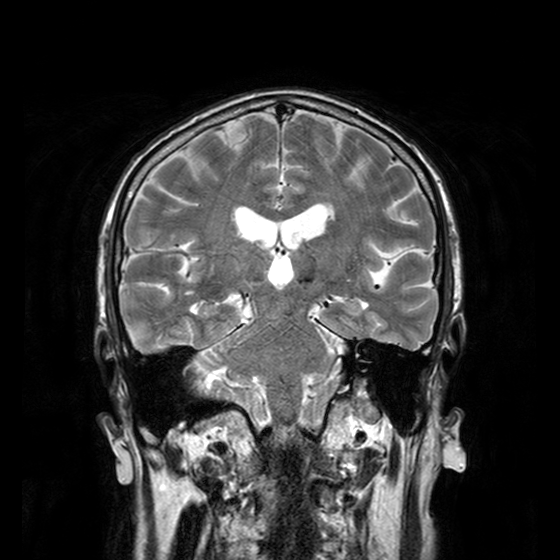
Clinical context: 3 Tesla brain MRI. Series: T2-weighted turbo spin echo with CLEAR. Study: ring-enhancing brain masses.